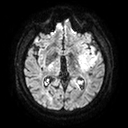
<record>
<modality>
  <type>brain MRI</type>
  <field_strength>3T</field_strength>
</modality>
<series>diffusion tensor imaging (medium iso)</series>
<study_topic>ring-enhancing brain masses</study_topic>
</record>